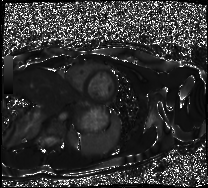
Cardiac MRI. Subject group: healthy volunteer.